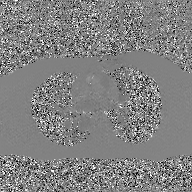
Q: What kind of scan is this?
A: 2D phase-contrast cine MRI of the ascending aorta, GAN super-resolution reconstruction.